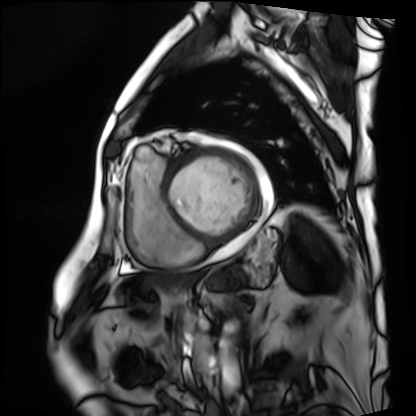
Cardiac MRI. Subject group: patient.